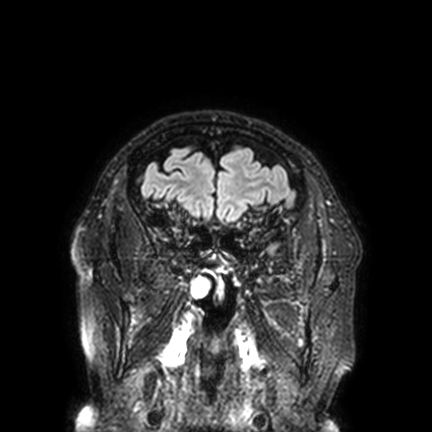
modality = 3 Tesla brain MRI; series = FLAIR VISTA with SENSE; study = ring-enhancing brain masses.